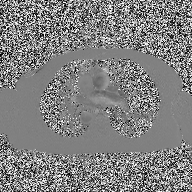
- modality: 2D phase-contrast cine MRI of the ascending aorta